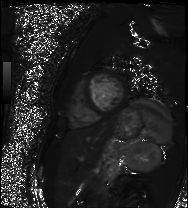
Cardiac MR image of the myocardium. Subject cohort: healthy volunteer.